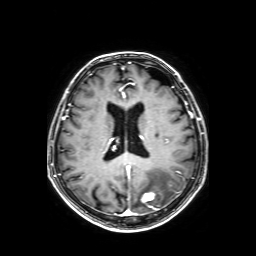
3 Tesla brain MRI. Series: axial T1-weighted fusion image. Study: ring-enhancing brain masses.